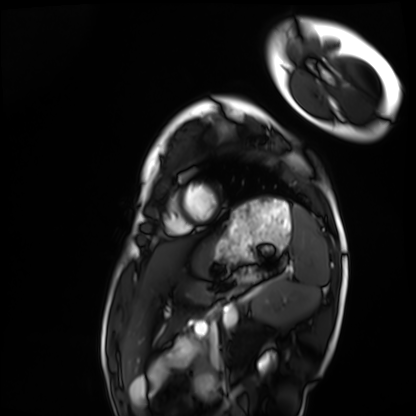
Clinical context: Cardiac MRI. Subject group: healthy volunteer.